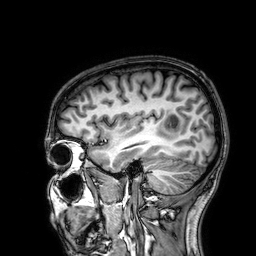
- modality — 3 Tesla brain MRI
- series — 3D T1-weighted
- study — ring-enhancing brain masses